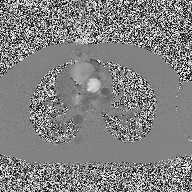
{
  "modality": {
    "type": "2D phase-contrast cine MRI",
    "region": "ascending aorta",
    "reconstruction": "high-resolution GRAPPA acquisition"
  }
}